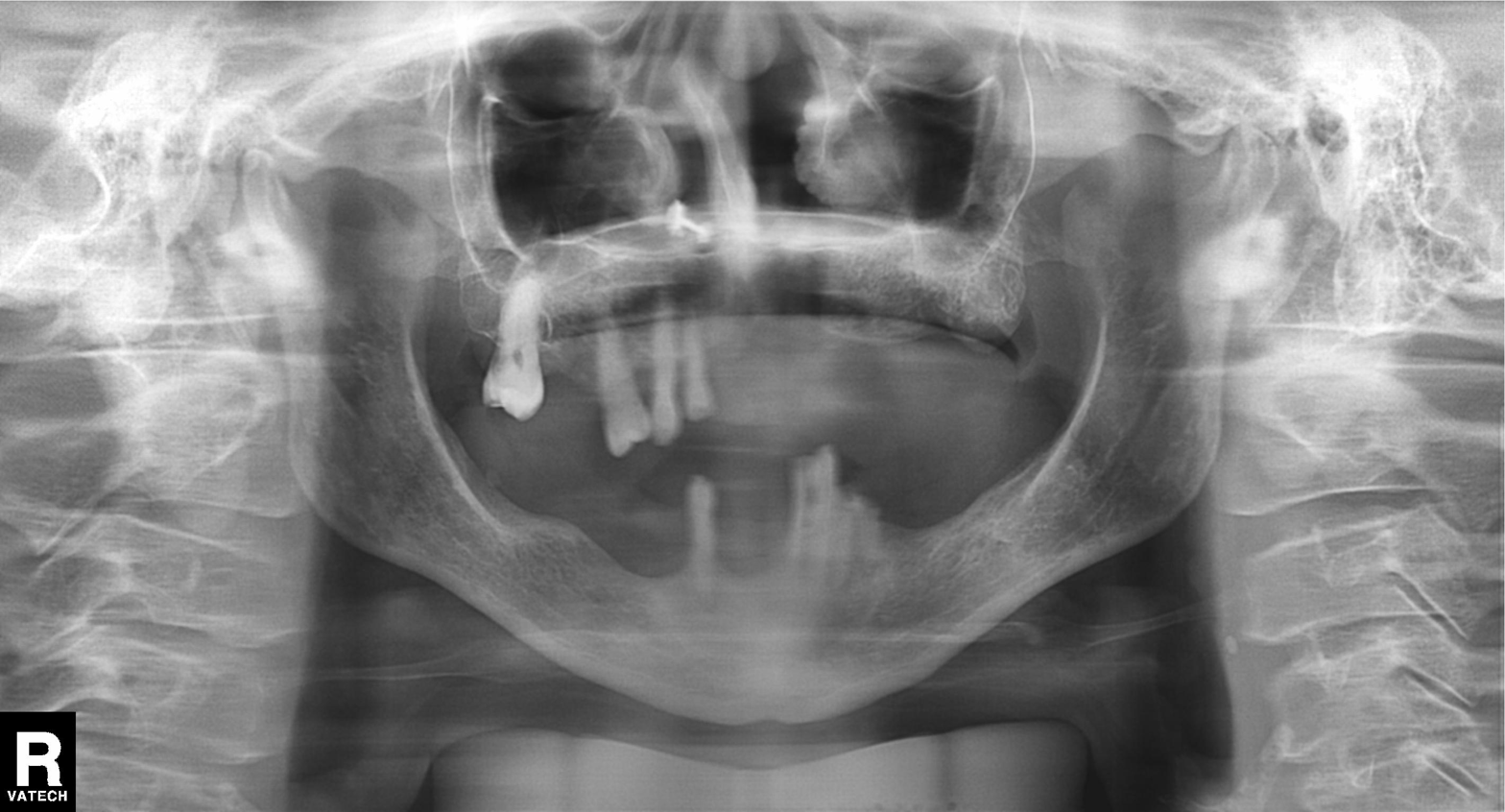
Panoramic dental radiograph (orthopantomogram). Finding: tooth impaction.